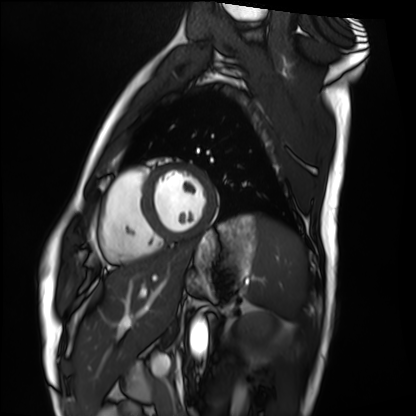
modality: cardiac MRI
cohort: healthy volunteer